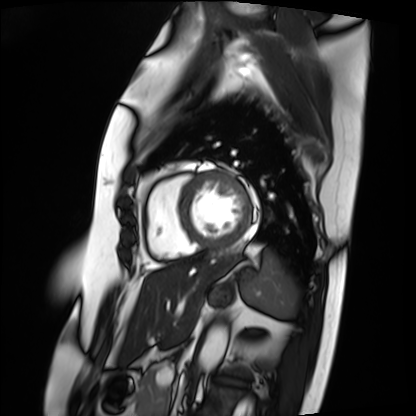
Summary: Cardiac MRI. Subject group: patient.